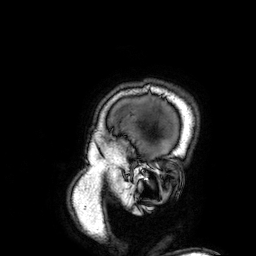
* modality · 3 Tesla brain MRI
* series · 3D T1-weighted
* study · ring-enhancing brain masses